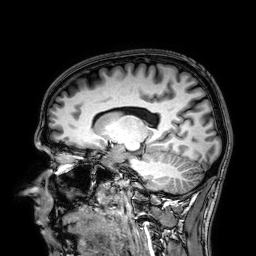
– modality — 3 Tesla brain MRI
– series — 3D T1-weighted
– study — ring-enhancing brain masses